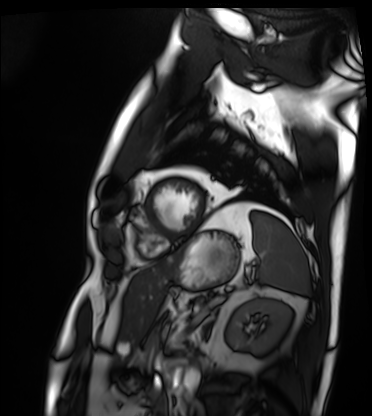
Case:
- modality · cardiac MRI
- subject group · patient